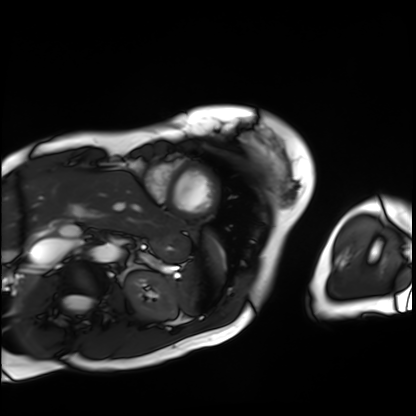
Cardiac MRI.
Subject group: patient.